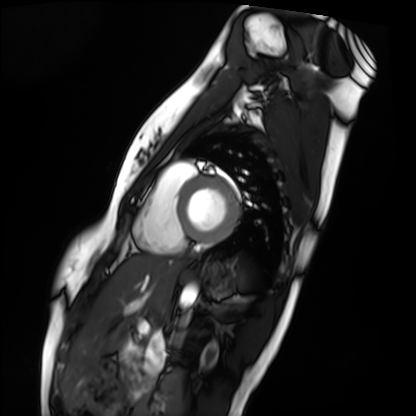
modality = cardiac MRI; subject group = healthy volunteer.